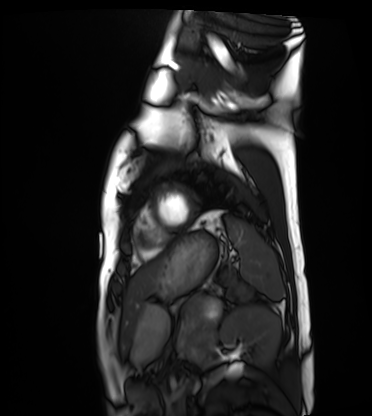
Q: What kind of scan is this?
A: Cardiac MRI.
Subject group: healthy volunteer.